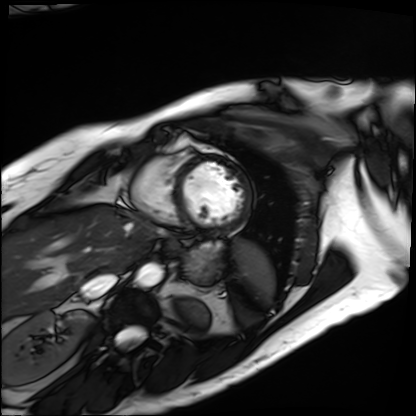
Cardiac MRI. Subject group: patient.